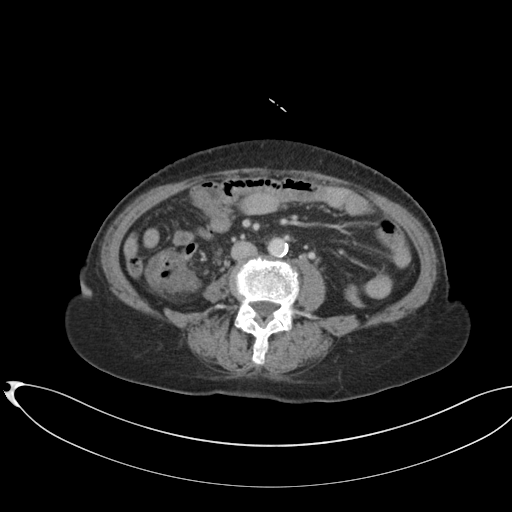
modality = multiphase abdominal CT, liver, portal venous phase; patient = female, age 75; history = cirrhosis.